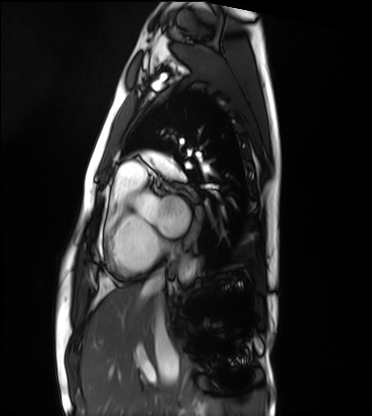
Cardiac MRI. Subject group: healthy volunteer.